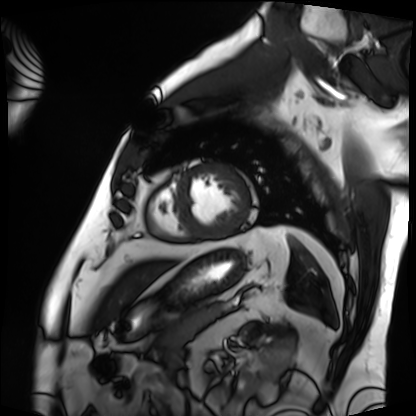
Q: What kind of scan is this?
A: Cardiac MRI.
Subject group: patient.